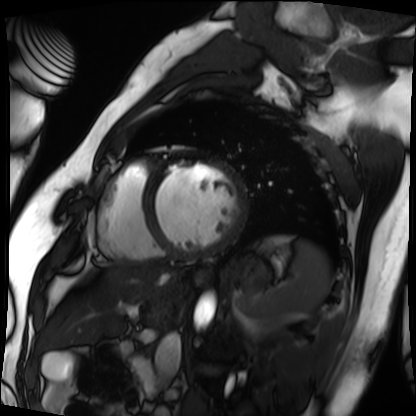
Case summary: Cardiac MRI. Subject group: patient.